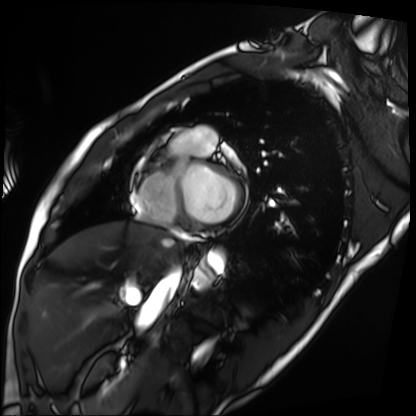
Cardiac MRI.
Subject group: patient.